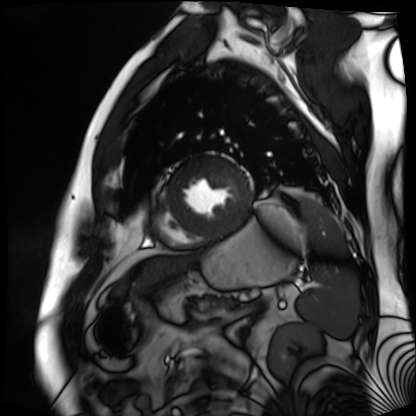
* modality — cardiac MR image of the myocardium
* subject cohort — cardiac patient